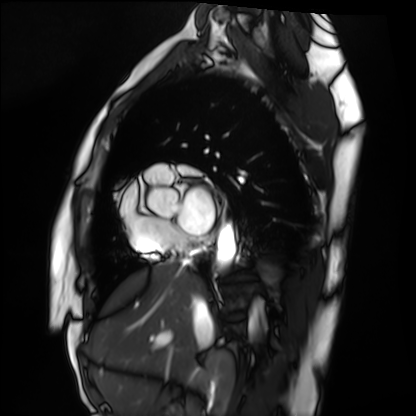
Clinical context: Cardiac MRI. Subject group: healthy volunteer.